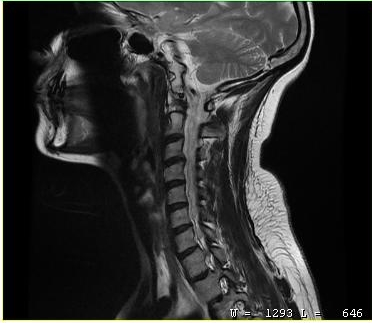
MRI of the cervical spine. Study: cervical spondylosis.